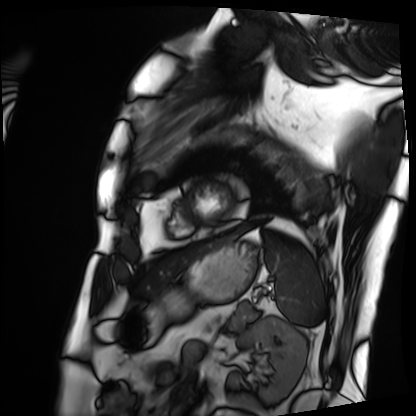
Clinical context: Cardiac MRI. Subject group: patient.